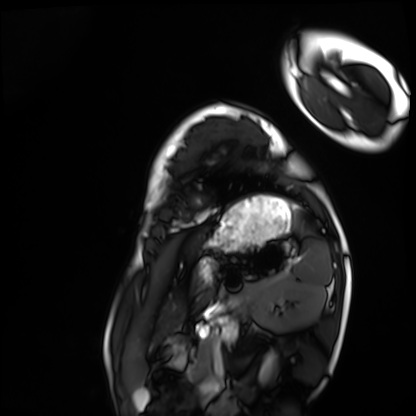
modality=cardiac MRI; subject group=healthy volunteer.